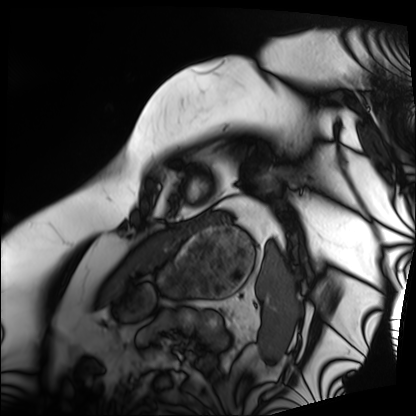
Cardiac MRI. Subject group: patient.